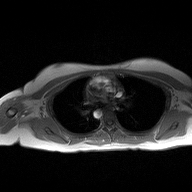
Summary: 2D phase-contrast cine MRI of the ascending aorta, high-resolution GRAPPA acquisition.